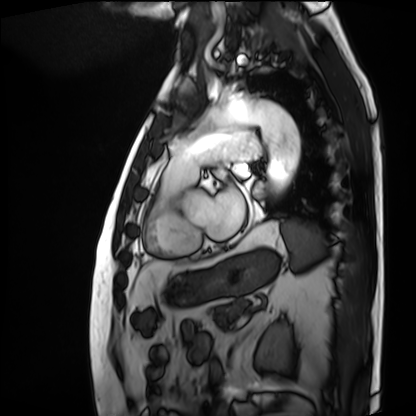
Case summary: Cardiac MRI. Subject group: patient.